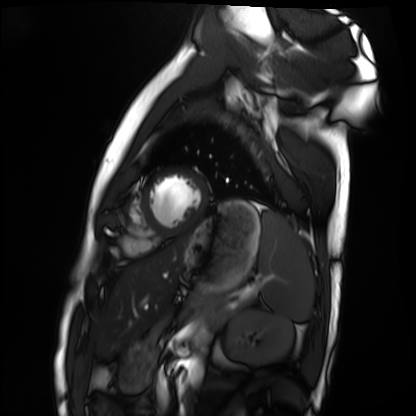
Cardiac MRI. Subject group: healthy volunteer.